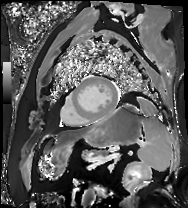
  modality: cardiac MR image of the myocardium
  cohort: cardiac patient